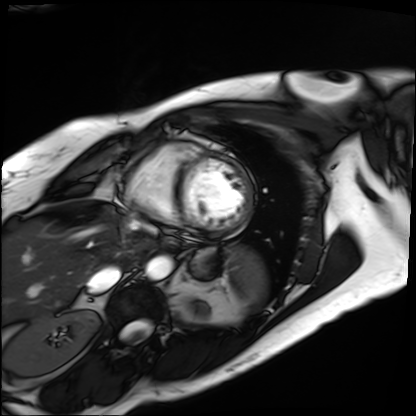
Q: What kind of scan is this?
A: Cardiac MRI.
Subject group: patient.